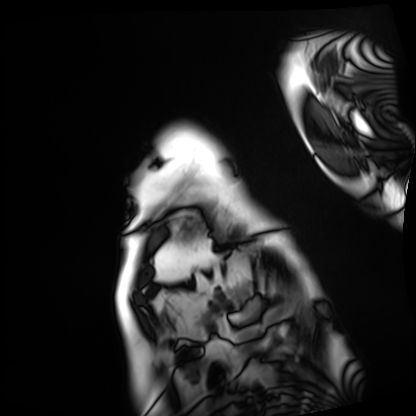
Cardiac MRI.
Subject group: patient.